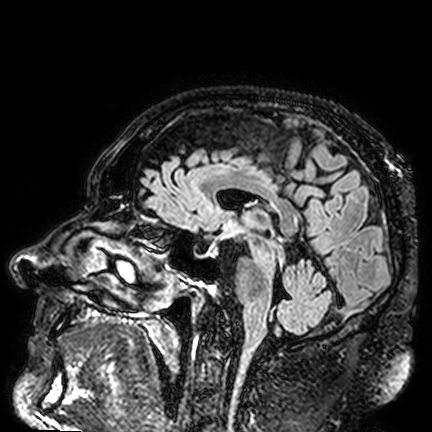
{"modality": {"type": "brain MRI", "field_strength": "3T"}, "series": "FLAIR VISTA", "study_topic": "ring-enhancing brain masses"}